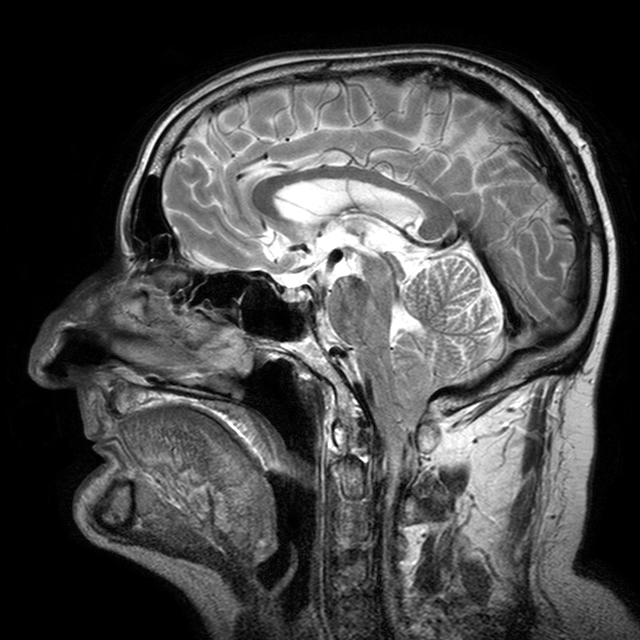
Q: What kind of scan is this?
A: 3 Tesla brain MRI.
Q: Series?
A: T2-weighted turbo spin echo with CLEAR.
Study: ring-enhancing brain masses.